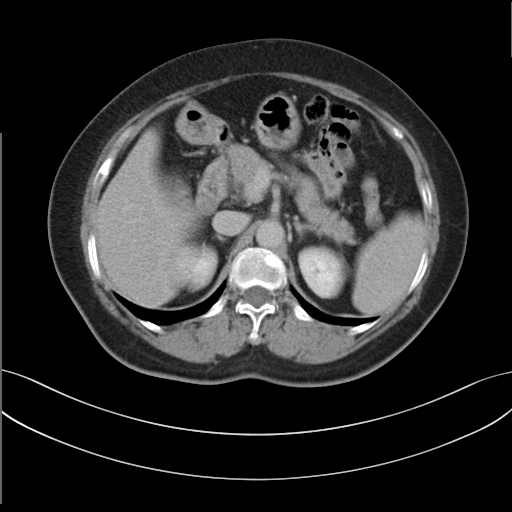
Summary:
Multiphase abdominal CT, liver, delayed phase. Patient: female, age 58. History: prior chemotherapy.